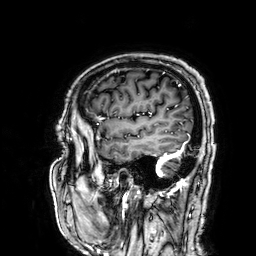
3 Tesla brain MRI.
Series: 3D T1-weighted.
Study: ring-enhancing brain masses.